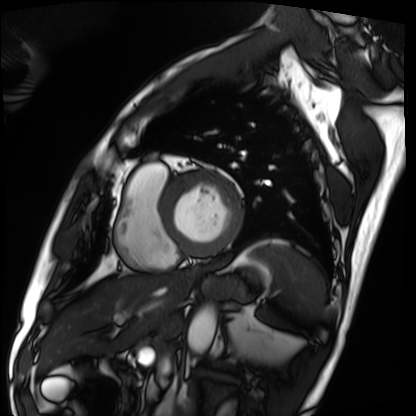
Summary:
Cardiac MRI. Subject group: patient.